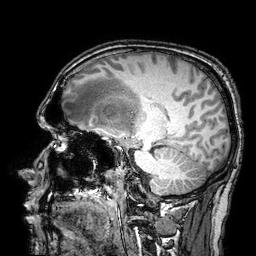
modality:
  type: brain MRI
  field_strength: 3T
series: 3D T1-weighted turbo field echo with SENSE
study_topic: ring-enhancing brain masses